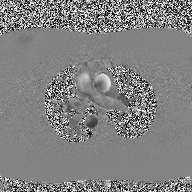
2D phase-contrast cine MRI of the ascending aorta, high-resolution GRAPPA acquisition.